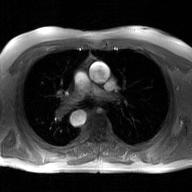
{"modality": {"type": "2D phase-contrast cine MRI", "region": "ascending aorta", "reconstruction": "GAN super-resolution reconstruction"}}